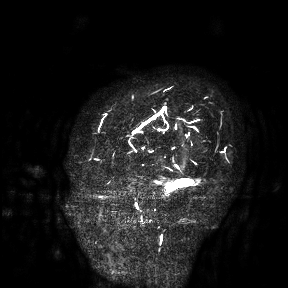
Clinical context:
3 Tesla brain MRI. Study: ring-enhancing brain masses.